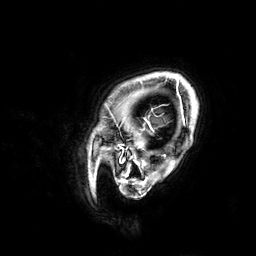
3 Tesla brain MRI. Series: 3D T1-weighted. Study: ring-enhancing brain masses.